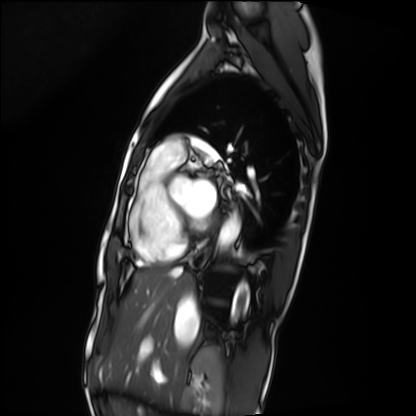
<scan>
  <modality>cardiac MRI</modality>
  <cohort>patient</cohort>
</scan>